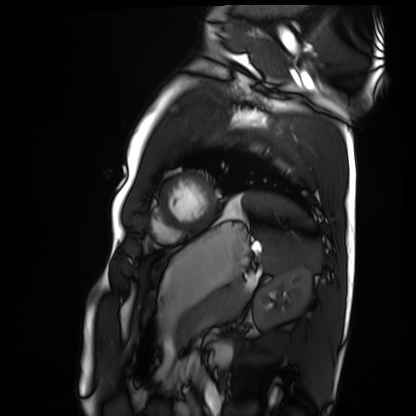
modality: cardiac MRI | subject group: healthy volunteer.